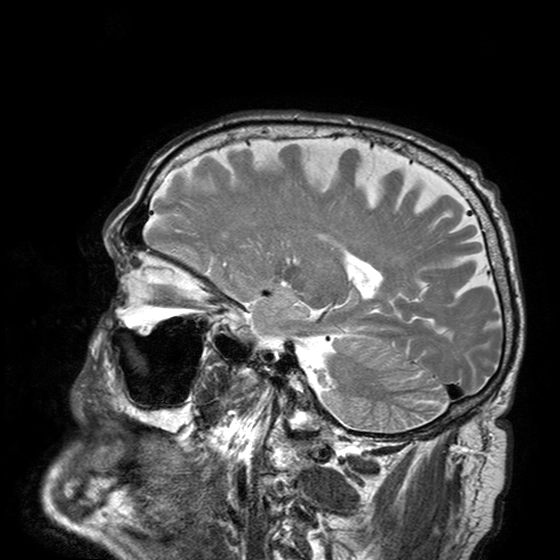
3 Tesla brain MRI. Series: T2-weighted turbo spin echo with SENSE. Study: ring-enhancing brain masses.